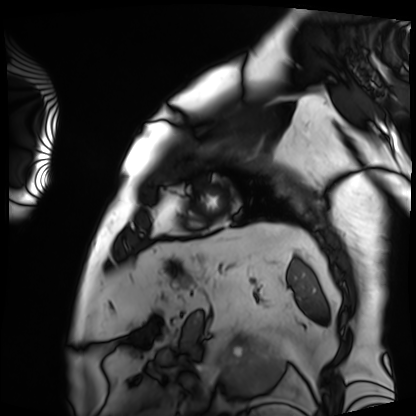
Cardiac MRI. Subject group: patient.